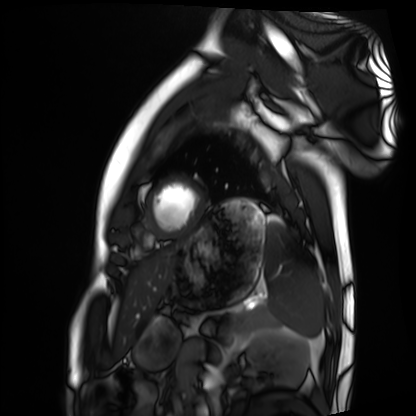
Summary: Cardiac MRI. Subject group: healthy volunteer.